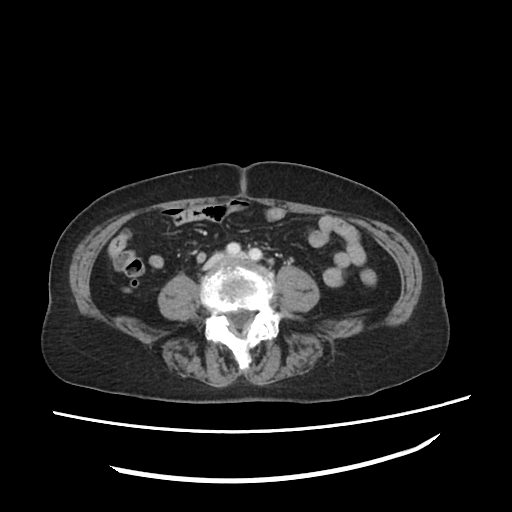
Summary:
Multiphase abdominal CT, liver, portal venous phase. Patient: female, age 75. History: prior chemotherapy.